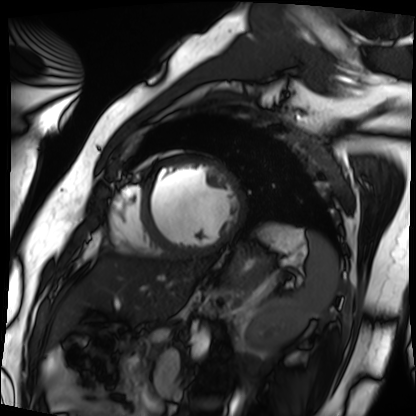
Cardiac MRI. Subject group: patient.